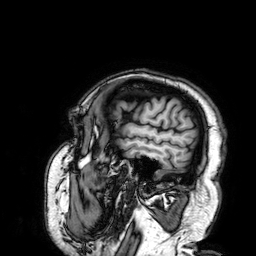
Q: What kind of scan is this?
A: 3 Tesla brain MRI.
Q: Series?
A: 3D T1-weighted.
Study: ring-enhancing brain masses.